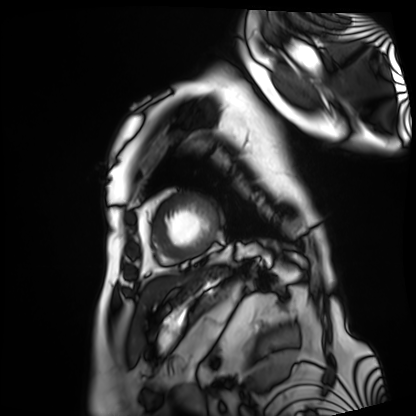
Q: What kind of scan is this?
A: Cardiac MRI.
Subject group: patient.